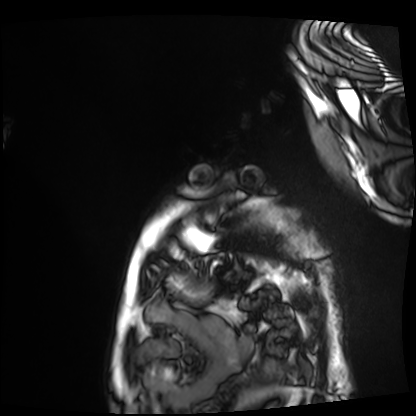
Q: What kind of scan is this?
A: Cardiac MRI.
Subject group: patient.